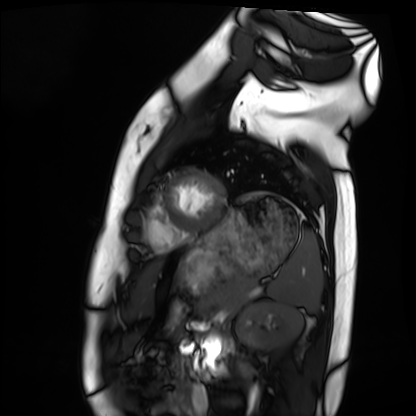
Cardiac MRI. Subject group: healthy volunteer.